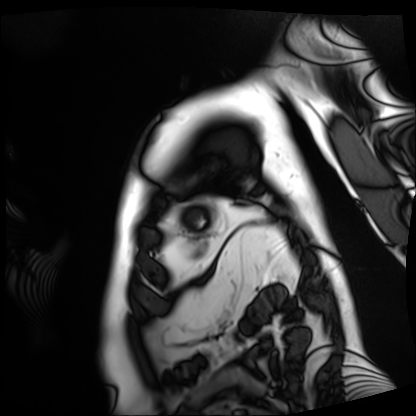
{"modality": "cardiac MRI", "cohort": "patient"}